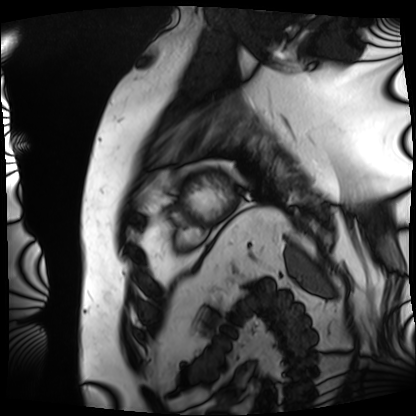
Case:
– modality · cardiac MRI
– subject group · patient